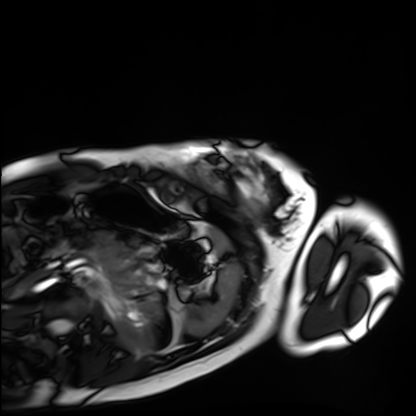
{"modality": "cardiac MRI", "cohort": "healthy volunteer"}